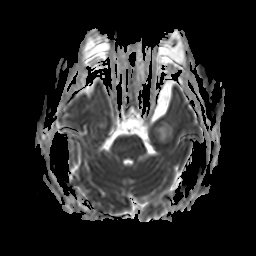
3 Tesla brain MRI. Series: apparent diffusion coefficient (ADC) map. Study: ring-enhancing brain masses.